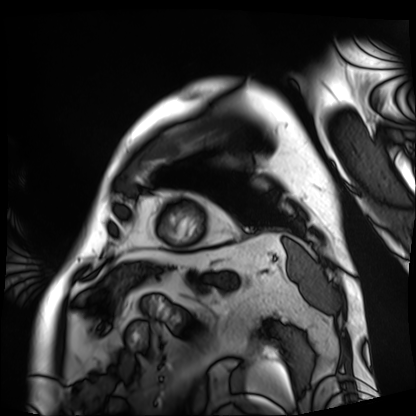
modality — cardiac MRI; subject group — patient.